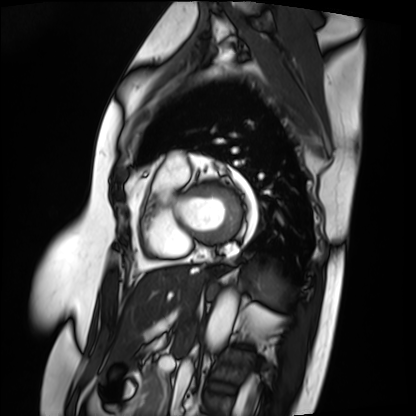
Case:
• modality: cardiac MRI
• subject group: patient